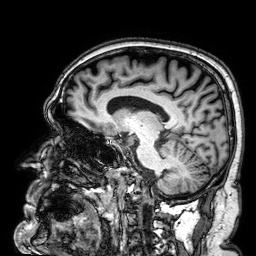
<study>
<modality>
  <type>brain MRI</type>
  <field_strength>3T</field_strength>
</modality>
<series>3D T1-weighted</series>
<study_topic>ring-enhancing brain masses</study_topic>
</study>